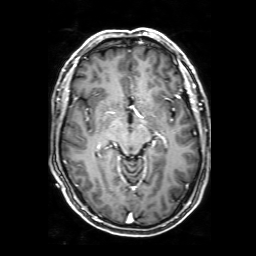
modality = 3 Tesla brain MRI | series = 3D T1-weighted with SENSE | study = ring-enhancing brain masses.